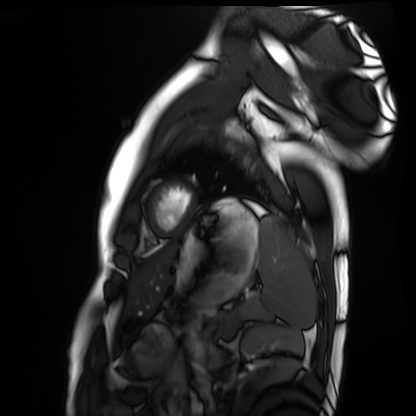
Summary:
Cardiac MRI. Subject group: healthy volunteer.